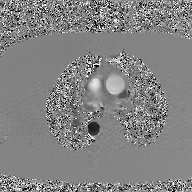
2D phase-contrast cine MRI of the ascending aorta, GAN super-resolution reconstruction.